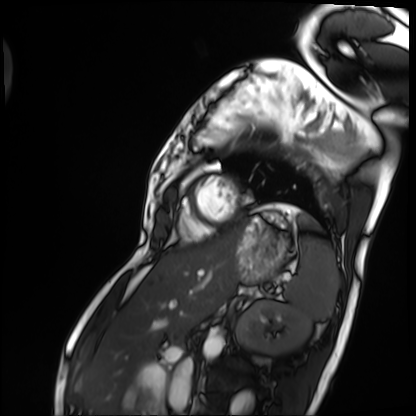
modality = cardiac MRI, subject group = patient.